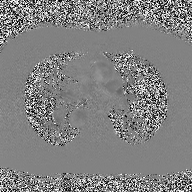
2D phase-contrast cine MRI of the ascending aorta, high-resolution GRAPPA acquisition.